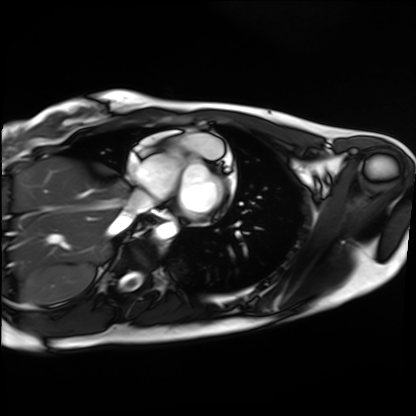
Case summary:
Cardiac MRI. Subject group: healthy volunteer.